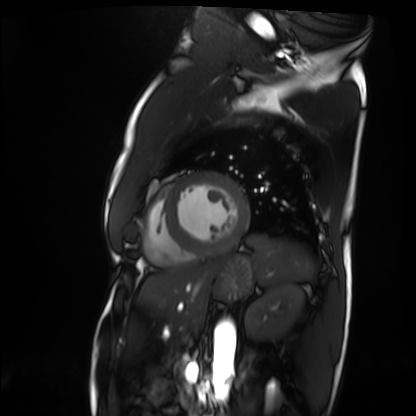
<case>
  <modality>cardiac MRI</modality>
  <cohort>patient</cohort>
</case>